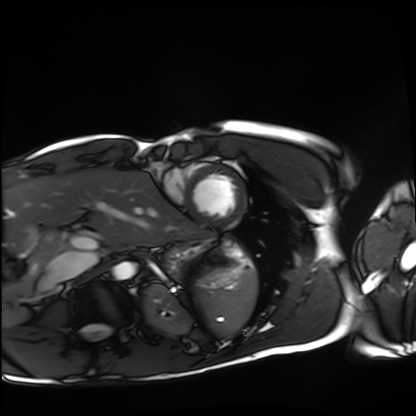
<record>
<modality>cardiac MRI</modality>
<cohort>healthy volunteer</cohort>
</record>